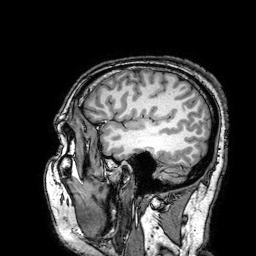
Case:
• modality — 3 Tesla brain MRI
• series — 3D T1-weighted turbo field echo with SENSE
• study — ring-enhancing brain masses